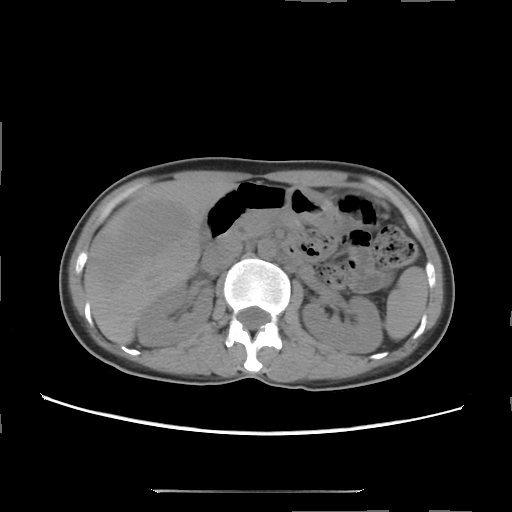
Multiphase abdominal CT, liver, non-contrast phase.
Patient: female, age 41.